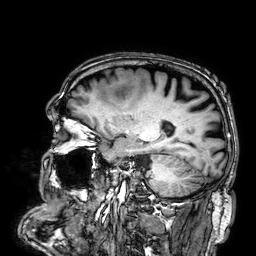
* modality — 3 Tesla brain MRI
* series — 3D T1-weighted
* study — ring-enhancing brain masses